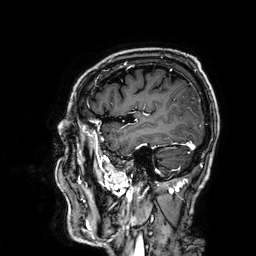
Summary: 3 Tesla brain MRI. Series: 3D T1-weighted. Study: ring-enhancing brain masses.